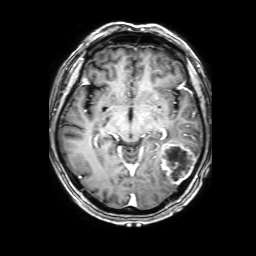
Q: What kind of scan is this?
A: 3 Tesla brain MRI.
Q: Series?
A: 3D T1-weighted with SENSE.
Study: ring-enhancing brain masses.